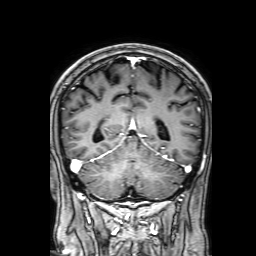
Case:
- modality · 3 Tesla brain MRI
- series · 3D T1-weighted with SENSE
- study · ring-enhancing brain masses